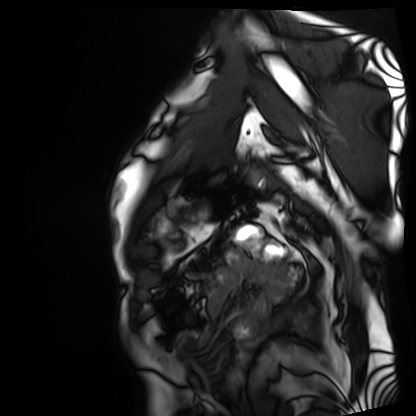
modality = cardiac MRI; subject group = patient.